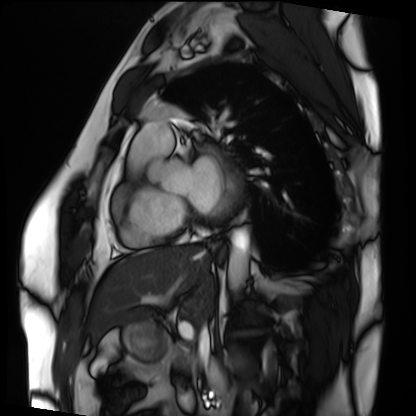
modality: cardiac MRI
cohort: patient